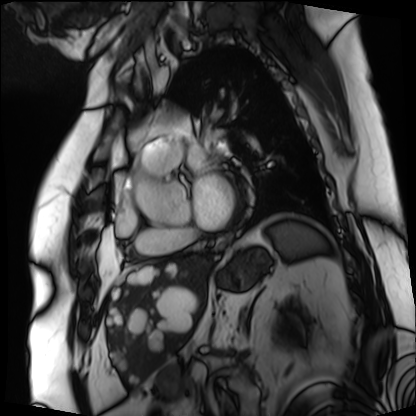
Q: What kind of scan is this?
A: Cardiac MRI.
Subject group: patient.